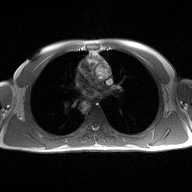
Case summary: 2D phase-contrast cine MRI of the ascending aorta, high-resolution GRAPPA acquisition.